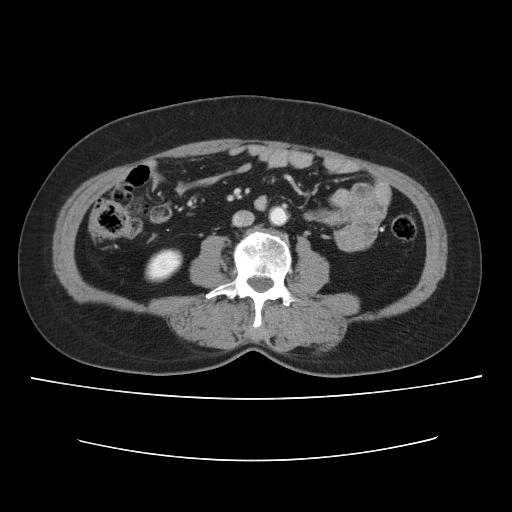
Case summary:
Multiphase abdominal CT, liver, portal venous phase. Patient: female, age 56. History: cirrhosis, prior chemotherapy.